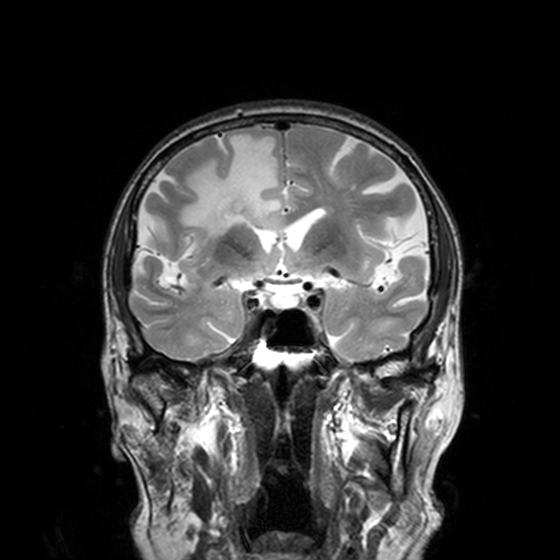
{
  "modality": {
    "type": "brain MRI",
    "field_strength": "3T"
  },
  "series": "T2-weighted turbo spin echo, 3 mm",
  "study_topic": "ring-enhancing brain masses"
}